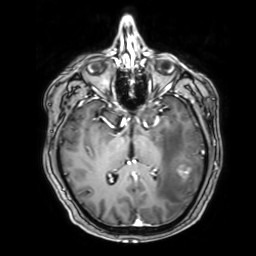
3 Tesla brain MRI. Series: 3D T1-weighted with SENSE. Study: ring-enhancing brain masses.